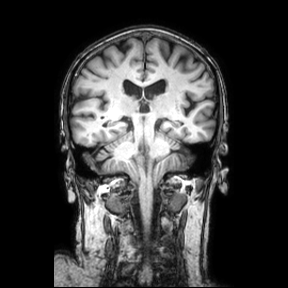
modality — 3 Tesla brain MRI
series — coronal
study — ring-enhancing brain masses